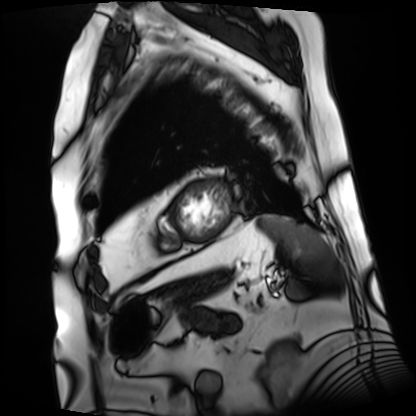
• modality — cardiac MRI
• subject group — patient